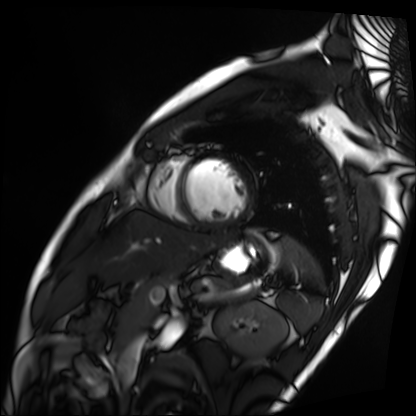
| field | value |
|---|---|
| modality | cardiac MRI |
| subject group | patient |